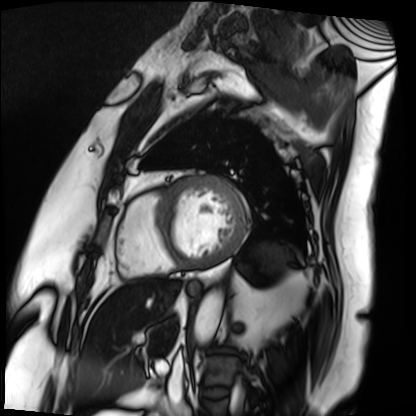
Cardiac MRI. Subject group: patient.